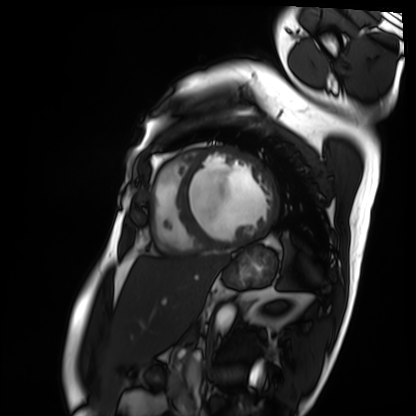
Summary: Cardiac MRI. Subject group: patient.